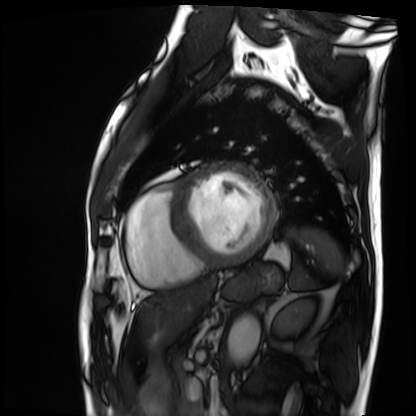
modality: cardiac MRI | subject group: patient.